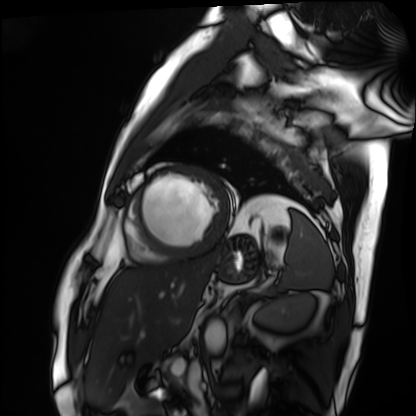
Clinical context: Cardiac MRI. Subject group: patient.